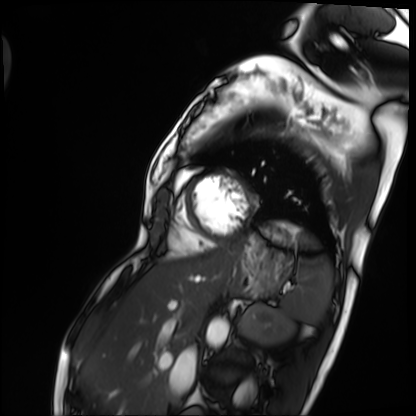
<case>
<modality>cardiac MRI</modality>
<cohort>patient</cohort>
</case>